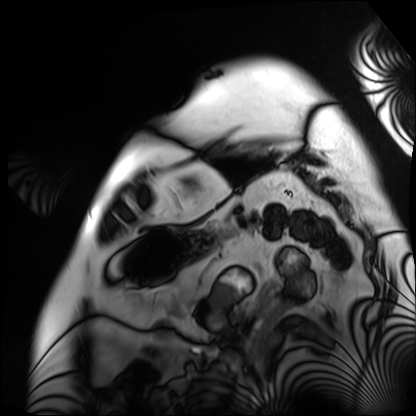
– modality: cardiac MRI
– subject group: patient